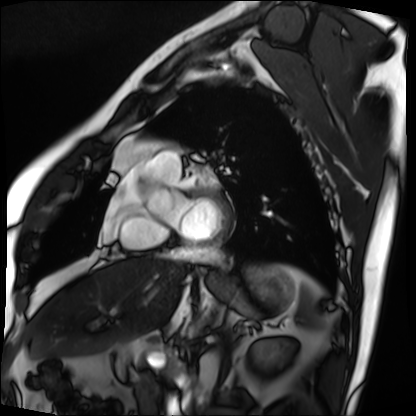
modality = cardiac MRI; subject group = patient.